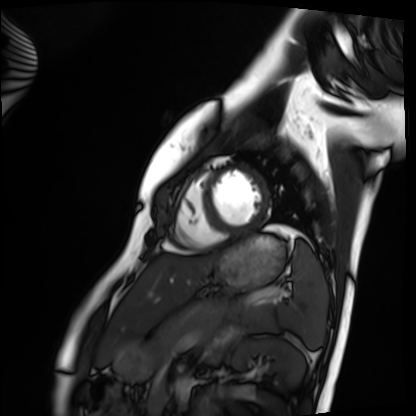
Q: What kind of scan is this?
A: Cardiac MRI.
Subject group: healthy volunteer.